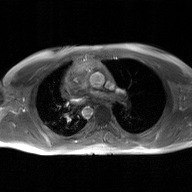
modality: 2D phase-contrast cine MRI of the ascending aorta, GAN super-resolution reconstruction